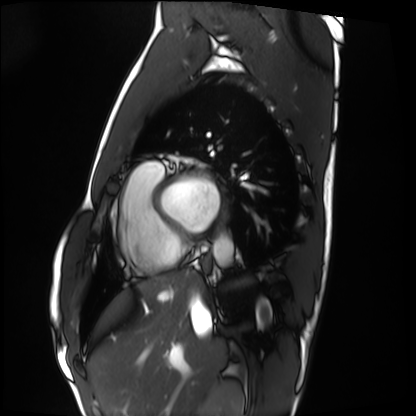
<study>
<modality>cardiac MRI</modality>
<cohort>healthy volunteer</cohort>
</study>